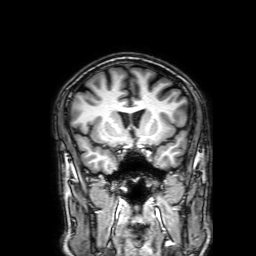
Case summary: 3 Tesla brain MRI. Series: 3D T1-weighted with SENSE. Study: ring-enhancing brain masses.